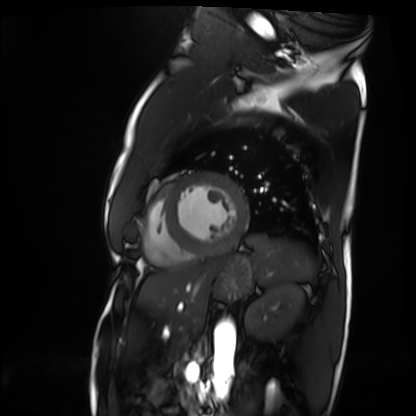
modality = cardiac MRI, subject group = patient.